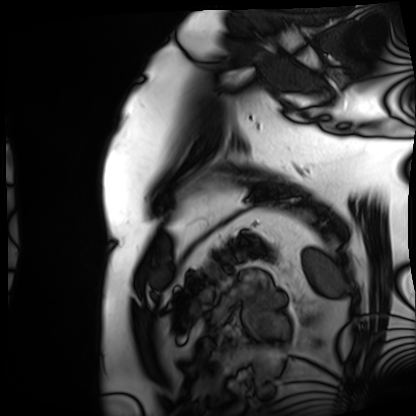
Case summary:
Cardiac MRI. Subject group: patient.